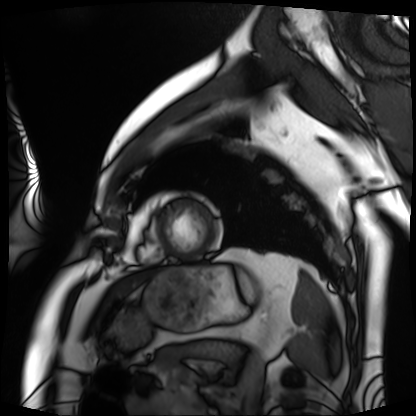
| field | value |
|---|---|
| modality | cardiac MRI |
| subject group | patient |